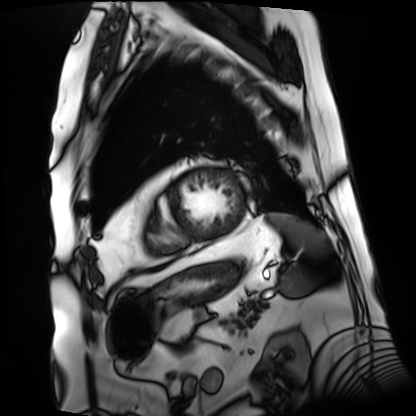
• modality · cardiac MRI
• subject group · patient